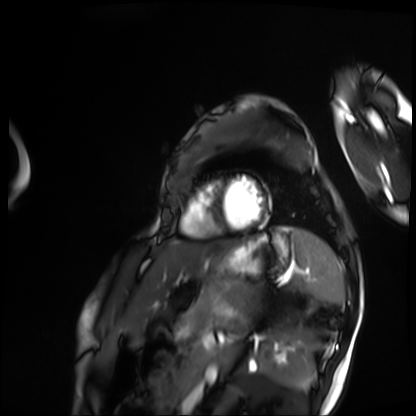
Cardiac MRI.
Subject group: patient.